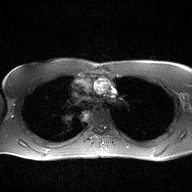
Summary: 2D phase-contrast cine MRI of the ascending aorta, high-resolution GRAPPA acquisition.